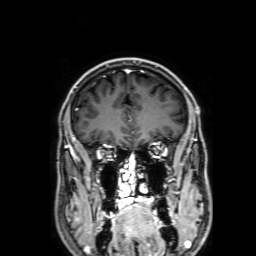
Clinical context: 3 Tesla brain MRI. Series: 3D T1-weighted with SENSE. Study: ring-enhancing brain masses.